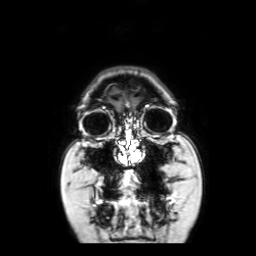
{
  "modality": {
    "type": "brain MRI",
    "field_strength": "3T"
  },
  "series": "coronal with contrast",
  "study_topic": "ring-enhancing brain masses"
}